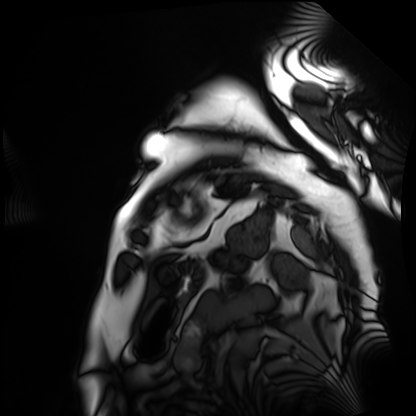
Cardiac MRI. Subject group: patient.